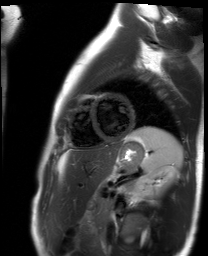
modality: cardiac MR image of the myocardium | subject cohort: healthy volunteer.